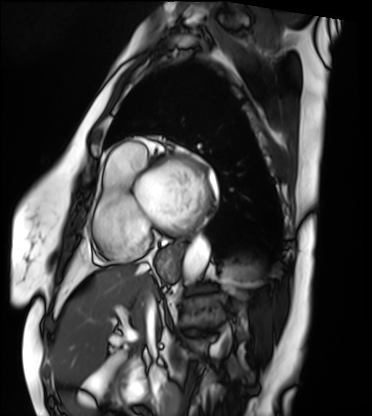
* modality — cardiac MRI
* subject group — patient